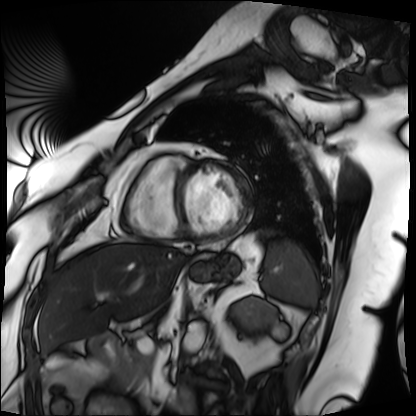
Cardiac MRI. Subject group: patient.